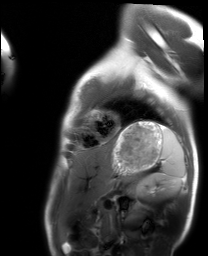
- modality — cardiac MRI
- subject group — healthy volunteer